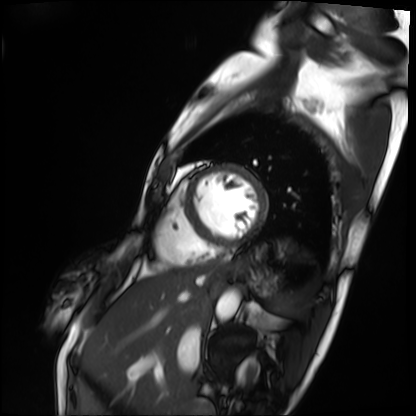
Case summary: Cardiac MRI. Subject group: patient.